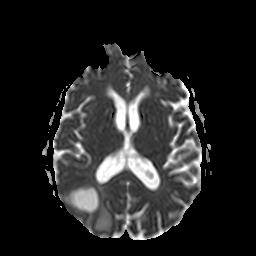
Summary:
3 Tesla brain MRI. Series: apparent diffusion coefficient (ADC) map. Study: ring-enhancing brain masses.